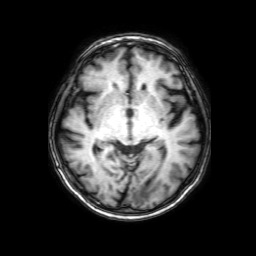
3 Tesla brain MRI. Series: 3D T1-weighted with SENSE. Study: ring-enhancing brain masses.